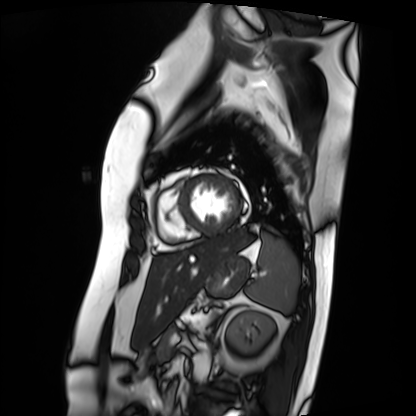
Cardiac MRI.
Subject group: patient.